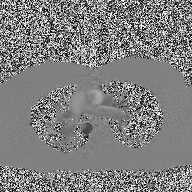
Case summary: 2D phase-contrast cine MRI of the ascending aorta, high-resolution GRAPPA acquisition.